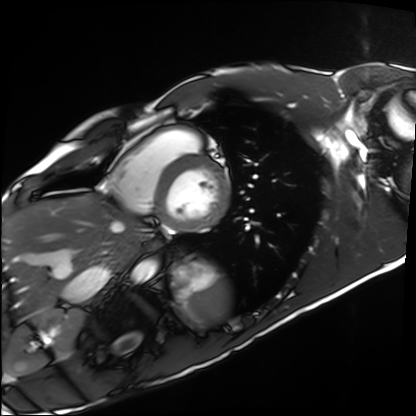
* modality · cardiac MRI
* subject group · healthy volunteer